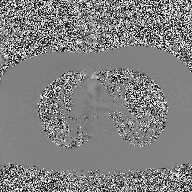
modality: 2D phase-contrast cine MRI of the ascending aorta